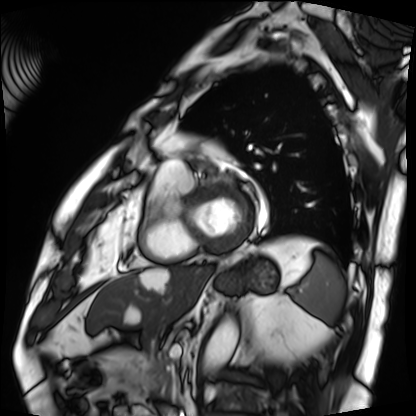
Cardiac MRI. Subject group: patient.